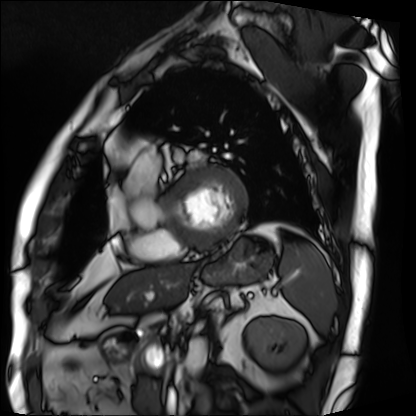
Summary: Cardiac MRI. Subject group: patient.